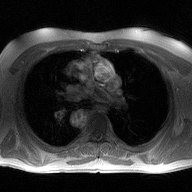
Summary: 2D phase-contrast cine MRI of the ascending aorta, high-resolution GRAPPA acquisition.